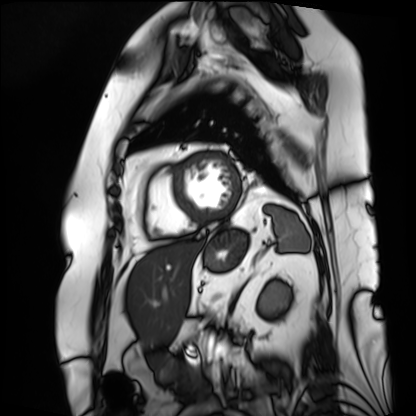
{
  "modality": "cardiac MRI",
  "cohort": "patient"
}